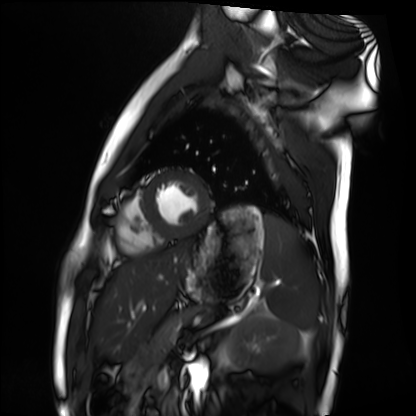
Cardiac MRI. Subject group: healthy volunteer.